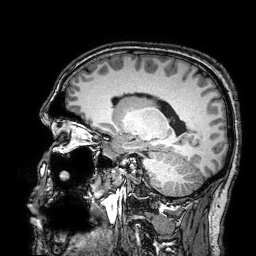
3 Tesla brain MRI.
Series: 3D T1-weighted turbo field echo with SENSE.
Study: ring-enhancing brain masses.